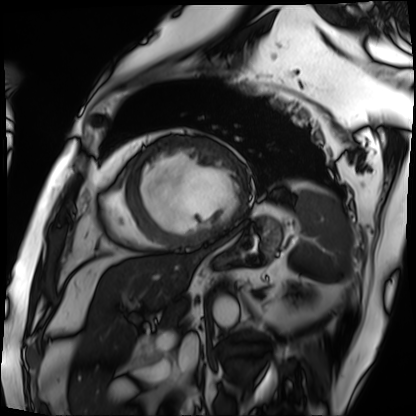
Cardiac MRI. Subject group: patient.